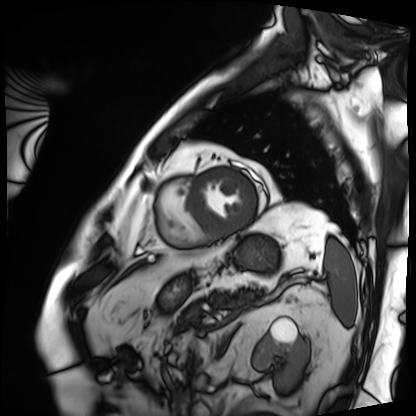
Cardiac MRI. Subject group: patient.